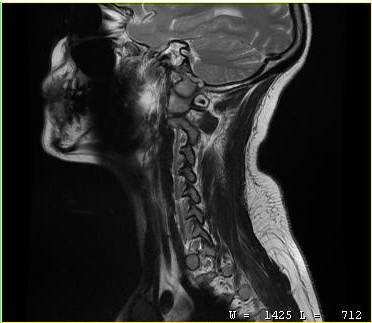
Summary:
MRI of the cervical spine. Study: cervical spondylosis.